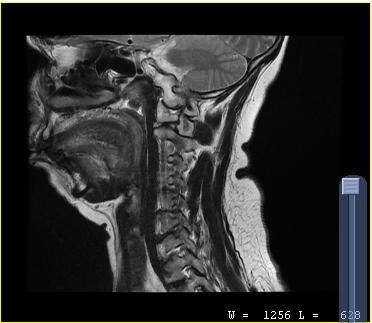
{"modality": {"type": "cervical spine MRI"}, "study_topic": "cervical spondylosis"}